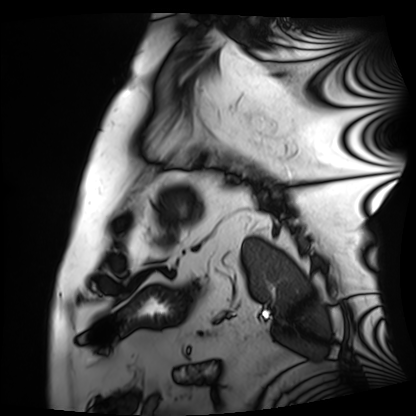
Clinical context: Cardiac MRI. Subject group: patient.